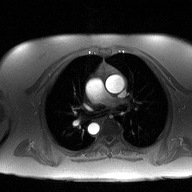
modality = 2D phase-contrast cine MRI of the ascending aorta.